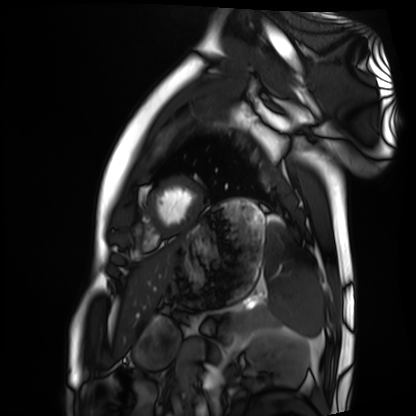
Cardiac MRI. Subject group: healthy volunteer.